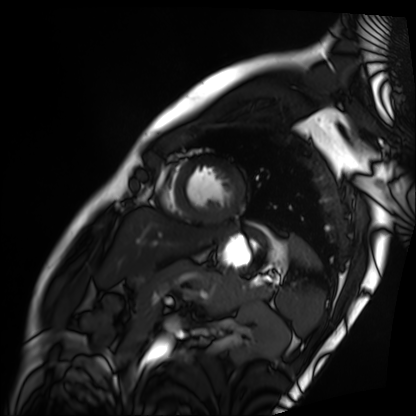
modality: cardiac MRI; subject group: patient.